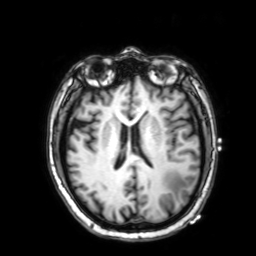
3 Tesla brain MRI.
Series: 3D T1-weighted with SENSE.
Study: ring-enhancing brain masses.